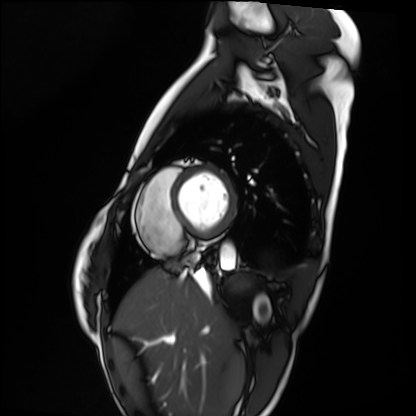
Cardiac MRI.
Subject group: healthy volunteer.